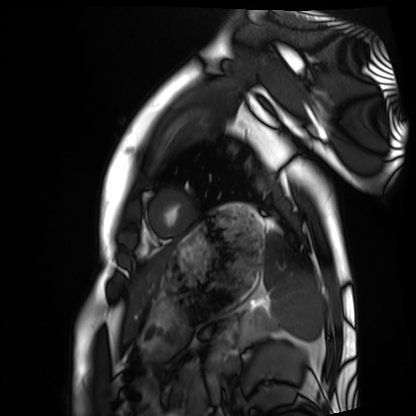
Cardiac MRI.
Subject group: healthy volunteer.